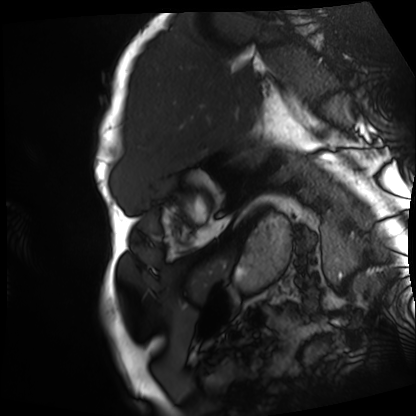
Cardiac MRI. Subject group: patient.